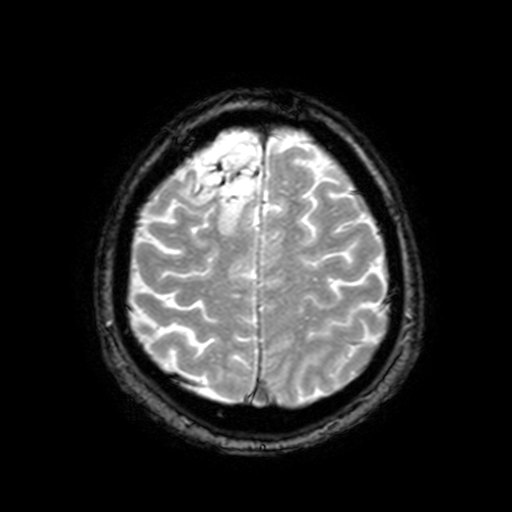
<scan>
<modality>
  <type>brain MRI</type>
  <field_strength>3T</field_strength>
</modality>
<series>T2-weighted fast field echo with SENSE</series>
<study_topic>ring-enhancing brain masses</study_topic>
</scan>